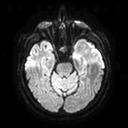
modality — 3 Tesla brain MRI | series — diffusion tensor imaging (medium iso) | study — ring-enhancing brain masses.